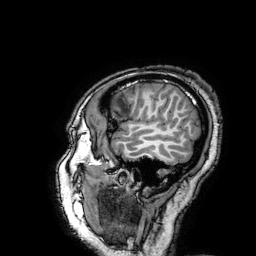
3 Tesla brain MRI. Series: 3D T1-weighted turbo field echo with SENSE. Study: ring-enhancing brain masses.